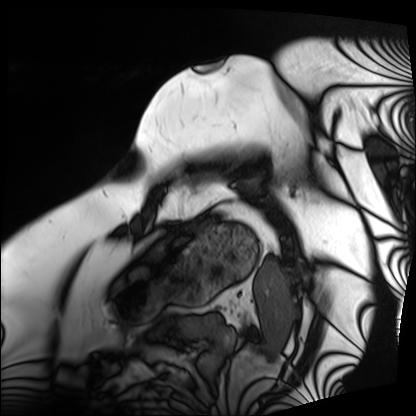
modality: cardiac MRI
subject group: patient